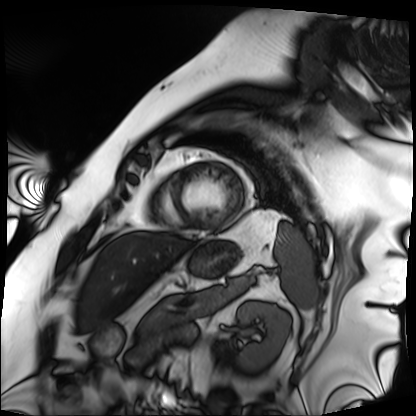
Cardiac MRI.
Subject group: patient.